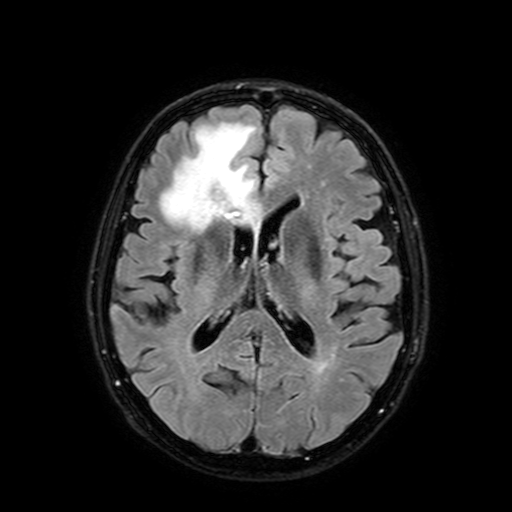
3 Tesla brain MRI. Series: FLAIR with SPAIR, 3 mm. Study: ring-enhancing brain masses.